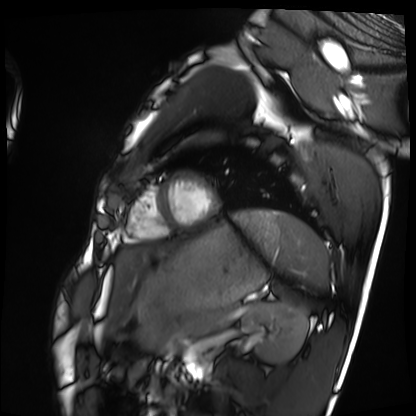
- modality: cardiac MRI
- subject group: healthy volunteer